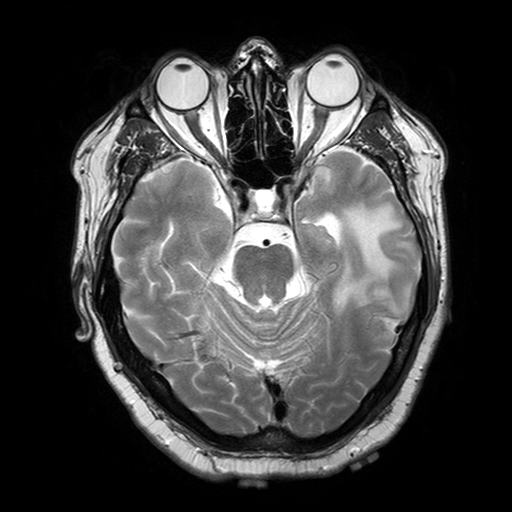
3 Tesla brain MRI.
Series: T2-weighted turbo spin echo with SENSE.
Study: ring-enhancing brain masses.